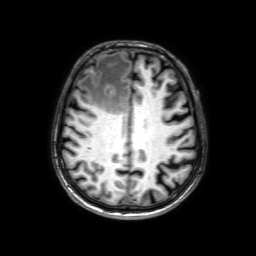
<case>
<modality>
  <type>brain MRI</type>
  <field_strength>3T</field_strength>
</modality>
<study_topic>ring-enhancing brain masses</study_topic>
</case>